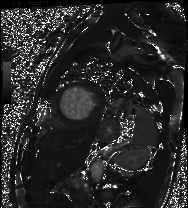
Summary: Cardiac MRI. Subject group: patient.